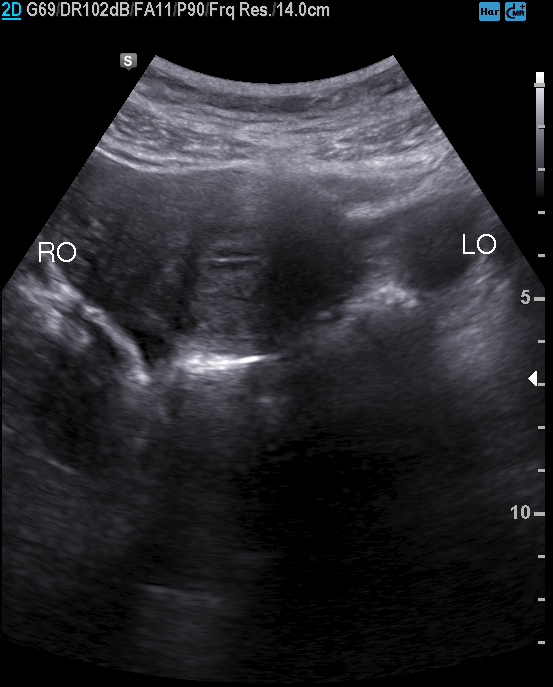
Genitourinary ultrasound.